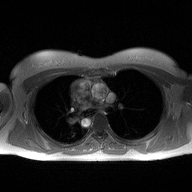
modality — 2D phase-contrast cine MRI of the ascending aorta